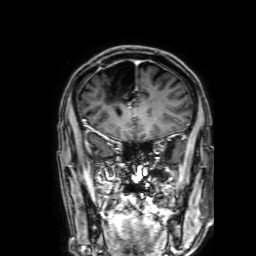
3 Tesla brain MRI.
Series: 3D T1-weighted with SENSE.
Study: ring-enhancing brain masses.